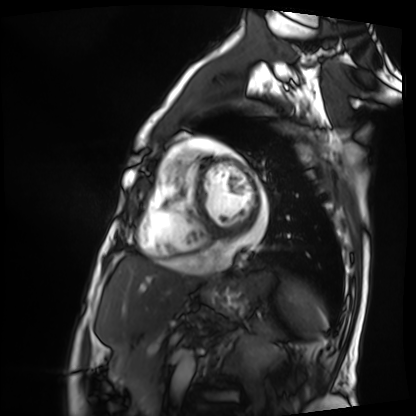
Cardiac MRI.
Subject group: patient.